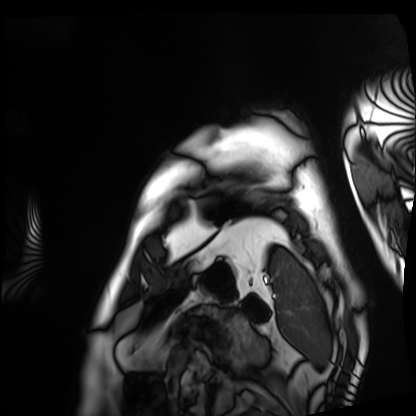
Cardiac MRI. Subject group: patient.